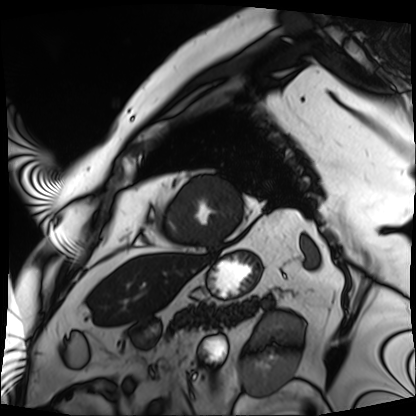
Case:
• modality — cardiac MRI
• subject group — patient